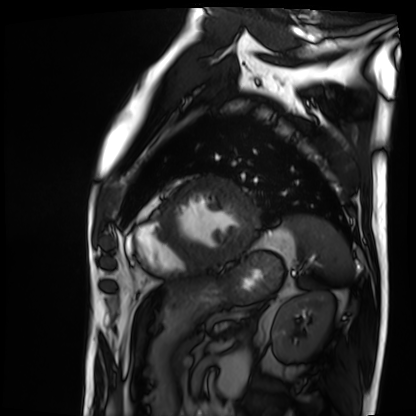
- modality: cardiac MRI
- subject group: patient